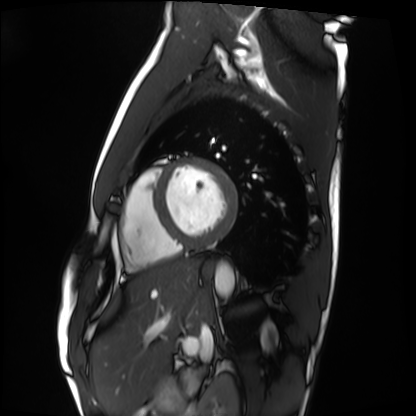
modality: cardiac MRI | subject group: healthy volunteer.